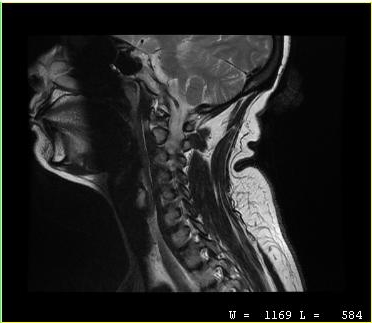
Clinical context: MRI of the cervical spine. Study: cervical spondylosis.